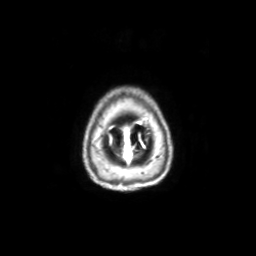
Summary:
3 Tesla brain MRI. Series: axial with contrast. Study: ring-enhancing brain masses.